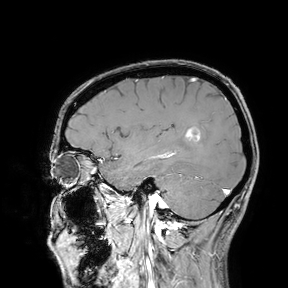
3 Tesla brain MRI. Study: ring-enhancing brain masses.